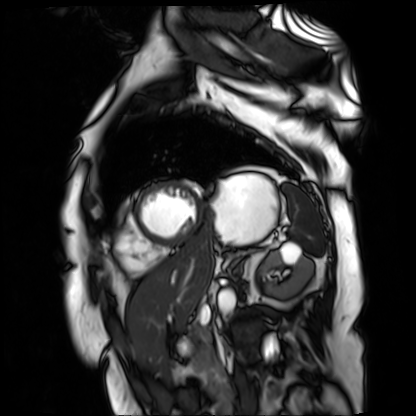
modality: cardiac MR image of the myocardium
cohort: cardiac patient